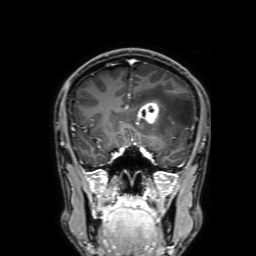
Summary:
3 Tesla brain MRI. Study: ring-enhancing brain masses.